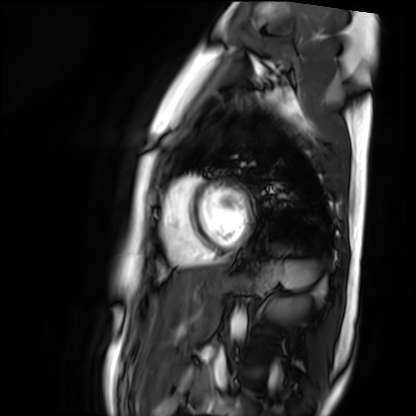
Q: What kind of scan is this?
A: Cardiac MR image of the myocardium.
Subject cohort: healthy volunteer.